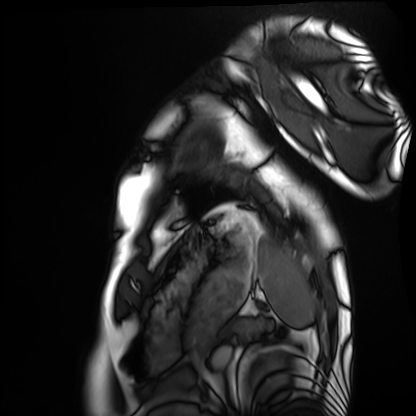
Cardiac MRI.
Subject group: healthy volunteer.